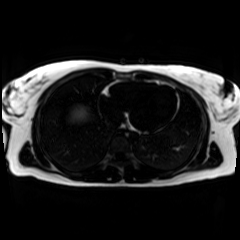
Chemical-shift-encoded cardiac MRI.